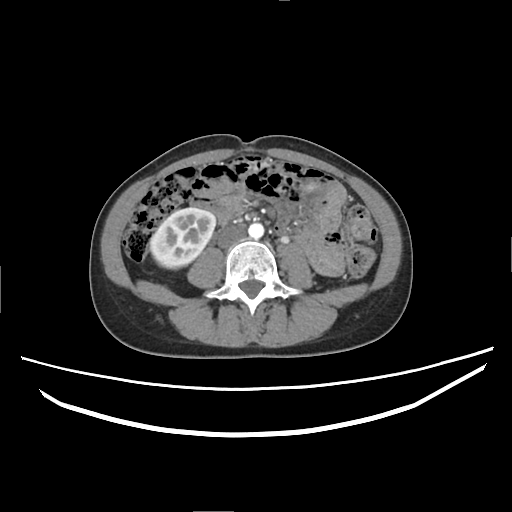
Multiphase abdominal CT, liver, arterial phase.
Patient: female, age 38.